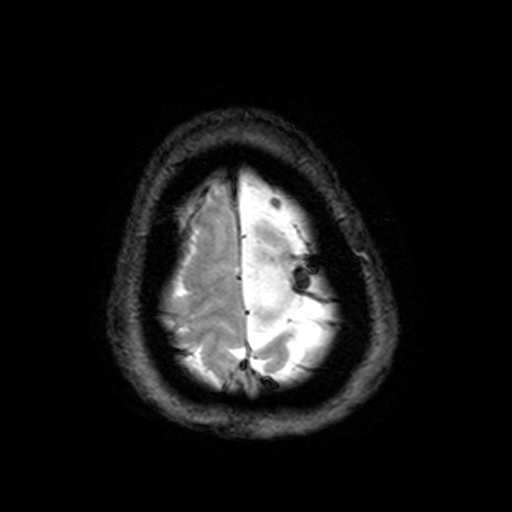
3 Tesla brain MRI. Series: T2-weighted fast field echo with SENSE. Study: ring-enhancing brain masses.